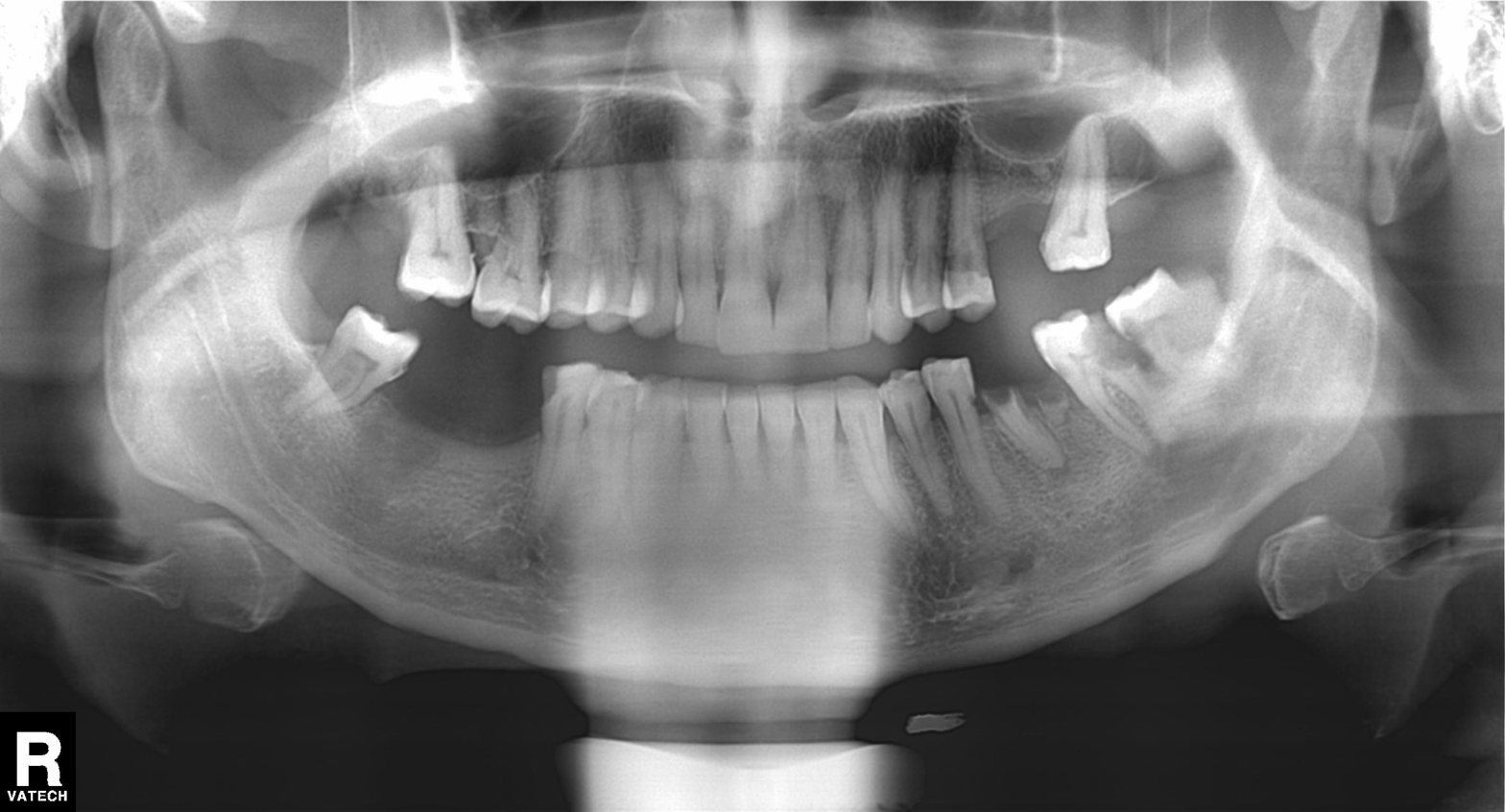
Panoramic dental radiograph (orthopantomogram). Finding: tooth impaction.